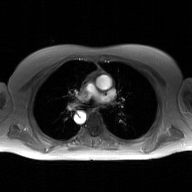
Case summary:
2D phase-contrast cine MRI of the ascending aorta, GAN super-resolution reconstruction.